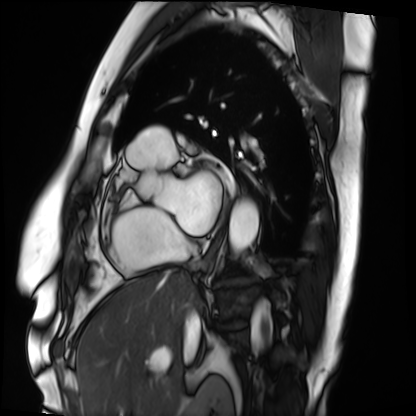
modality: cardiac MRI | subject group: patient.